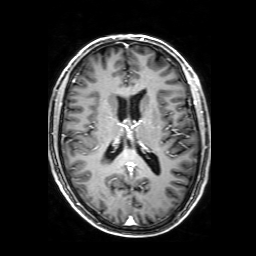
Summary:
3 Tesla brain MRI. Series: 3D T1-weighted with SENSE. Study: ring-enhancing brain masses.